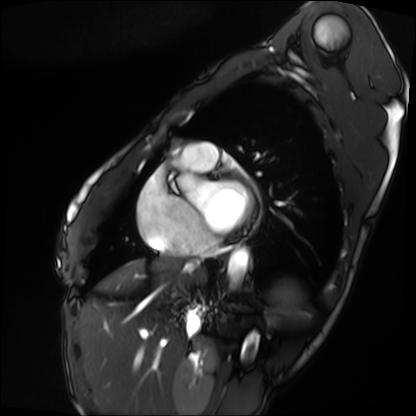
modality: cardiac MRI, subject group: patient.